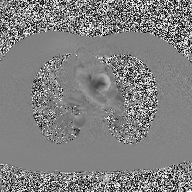
Clinical context: 2D phase-contrast cine MRI of the ascending aorta, high-resolution GRAPPA acquisition.